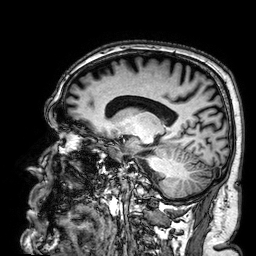
3 Tesla brain MRI. Series: 3D T1-weighted. Study: ring-enhancing brain masses.